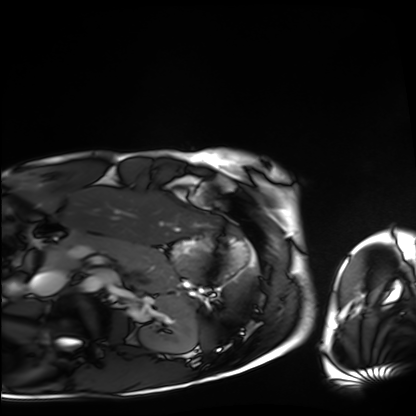
Clinical context:
Cardiac MRI. Subject group: healthy volunteer.